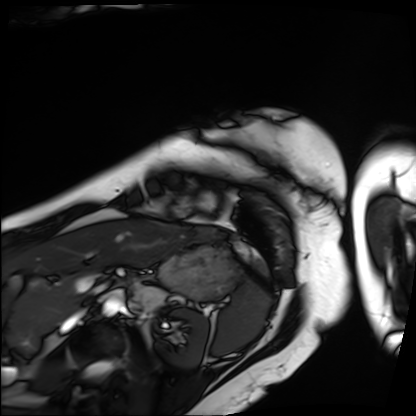
Cardiac MRI. Subject group: patient.